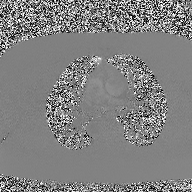
Summary:
2D phase-contrast cine MRI of the ascending aorta, high-resolution GRAPPA acquisition.